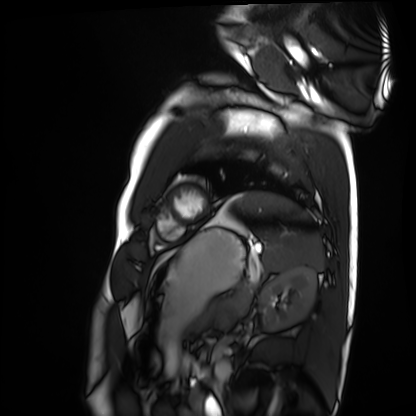
• modality — cardiac MRI
• subject group — healthy volunteer